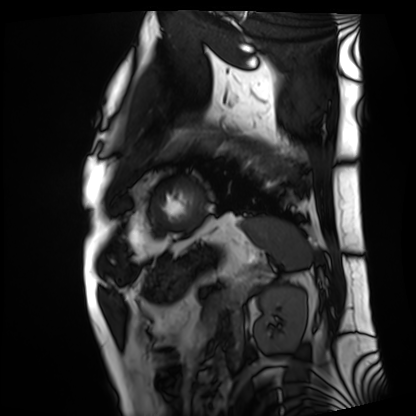
– modality — cardiac MRI
– subject group — patient